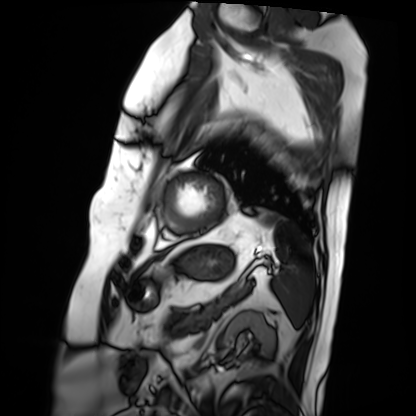
Cardiac MRI.
Subject group: patient.